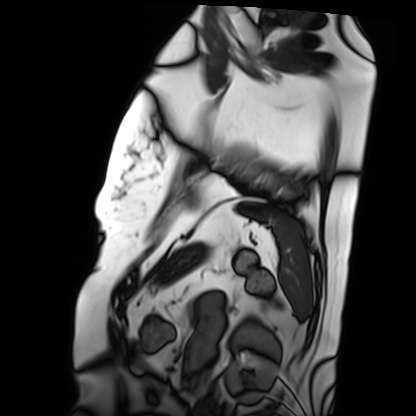
Cardiac MRI. Subject group: patient.